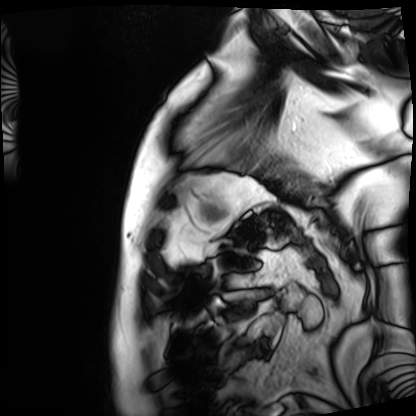
modality = cardiac MRI; subject group = patient.